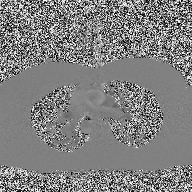
Q: What kind of scan is this?
A: 2D phase-contrast cine MRI of the ascending aorta.